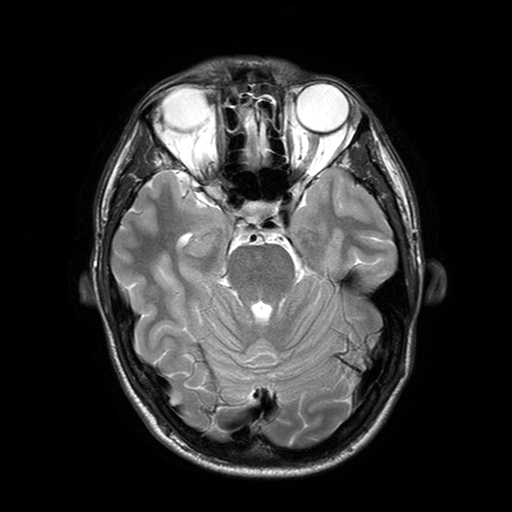
modality = 3 Tesla brain MRI | series = T2-weighted turbo spin echo with SENSE | study = ring-enhancing brain masses.